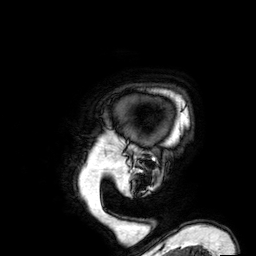
– modality — 3 Tesla brain MRI
– series — 3D T1-weighted
– study — ring-enhancing brain masses